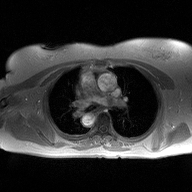
modality = 2D phase-contrast cine MRI of the ascending aorta.